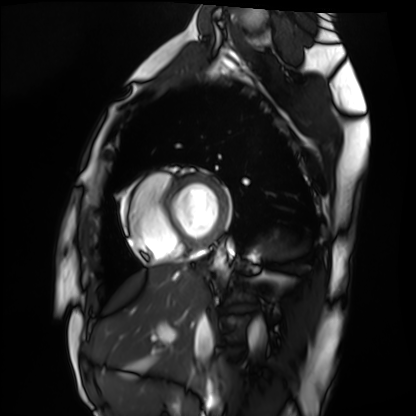
Case summary:
Cardiac MRI. Subject group: healthy volunteer.